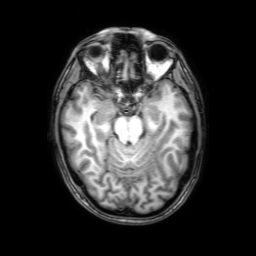
3 Tesla brain MRI. Series: 3D T1-weighted with SENSE. Study: ring-enhancing brain masses.